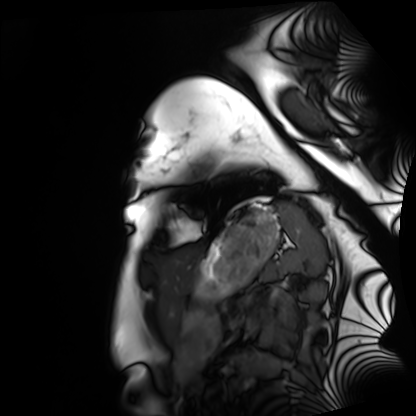
Cardiac MRI. Subject group: healthy volunteer.